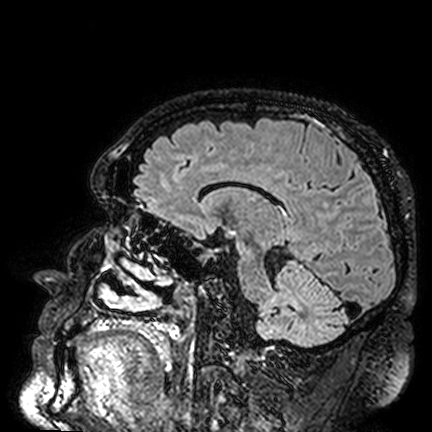
3 Tesla brain MRI. Series: FLAIR VISTA. Study: ring-enhancing brain masses.